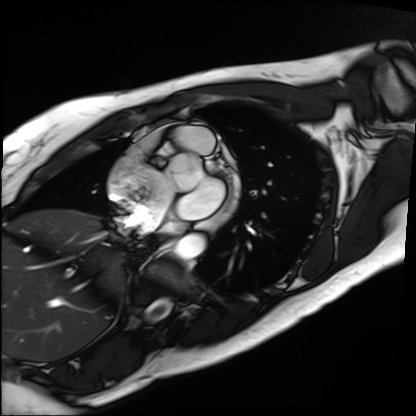
Summary: Cardiac MRI. Subject group: patient.